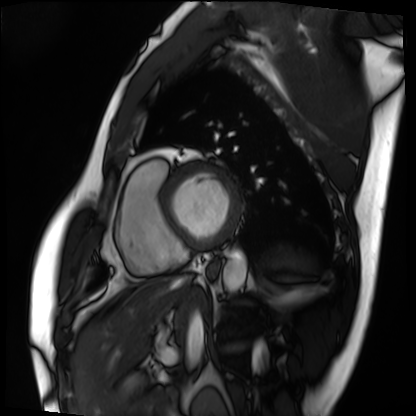
modality: cardiac MRI
cohort: patient